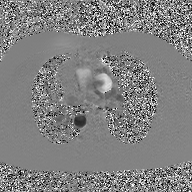
Q: What kind of scan is this?
A: 2D phase-contrast cine MRI of the ascending aorta, GAN super-resolution reconstruction.